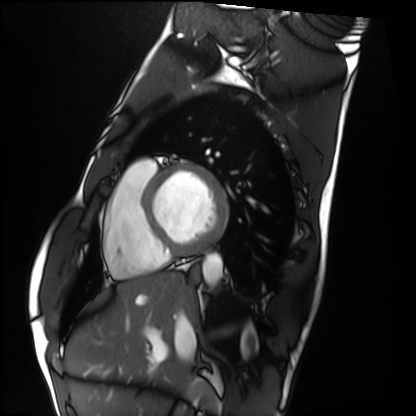
Q: What kind of scan is this?
A: Cardiac MRI.
Subject group: healthy volunteer.